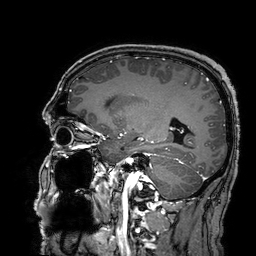
modality:
  type: brain MRI
  field_strength: 3T
series: 3D T1-weighted turbo field echo with SENSE
study_topic: ring-enhancing brain masses